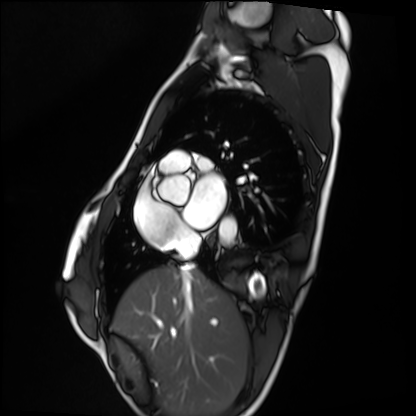
Clinical context:
Cardiac MRI. Subject group: healthy volunteer.